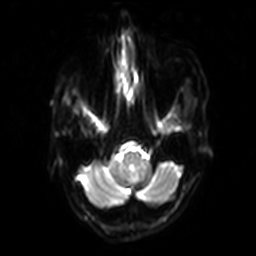
3 Tesla brain MRI. Series: diffusion-weighted imaging with SENSE (WIP). Study: ring-enhancing brain masses.